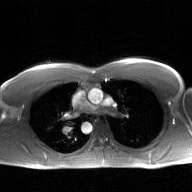
2D phase-contrast cine MRI of the ascending aorta, GAN super-resolution reconstruction.